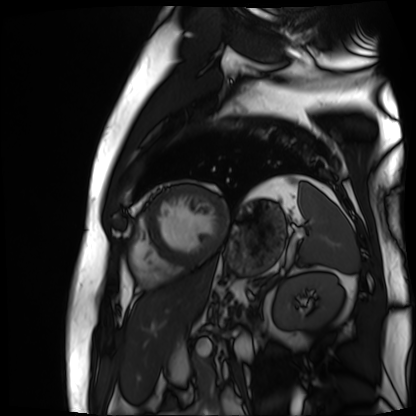
Cardiac MR image of the myocardium. Subject cohort: cardiac patient.